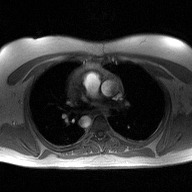
modality: 2D phase-contrast cine MRI of the ascending aorta.